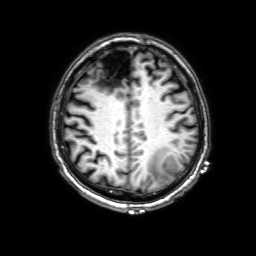
Q: What kind of scan is this?
A: 3 Tesla brain MRI.
Q: Series?
A: 3D T1-weighted with SENSE.
Study: ring-enhancing brain masses.